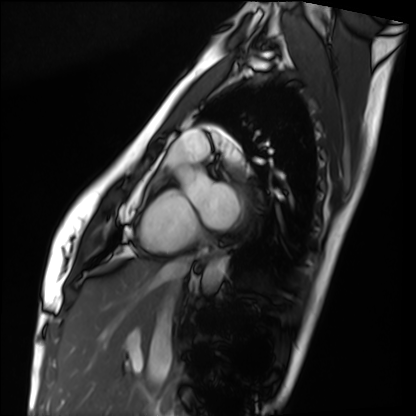
Clinical context: Cardiac MRI. Subject group: healthy volunteer.